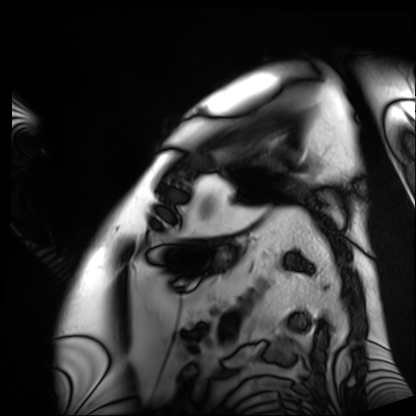
modality: cardiac MRI | subject group: patient.